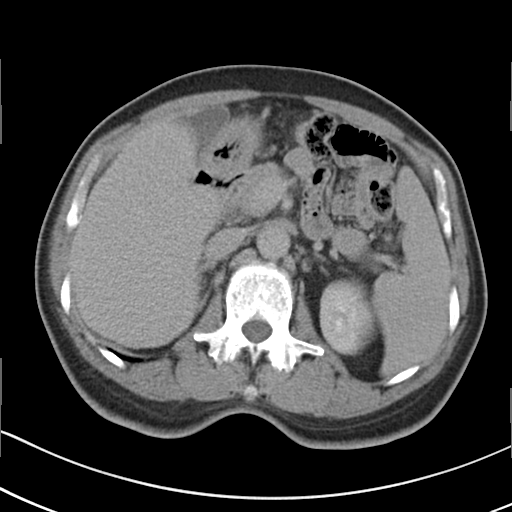
Clinical context:
Multiphase abdominal CT, liver, delayed phase. Patient: male, age 56. History: cirrhosis, viral hepatitis.